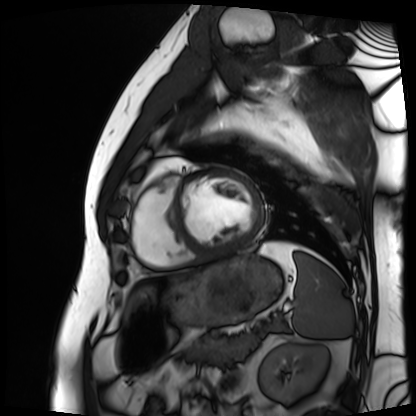
Clinical context: Cardiac MRI. Subject group: patient.